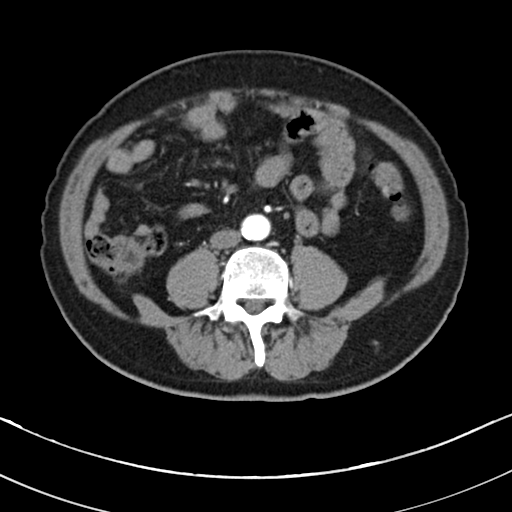
Clinical context: Multiphase abdominal CT, liver, arterial phase.